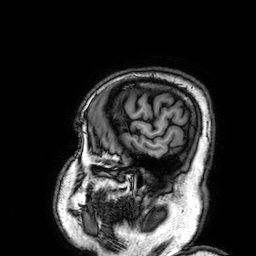
3 Tesla brain MRI. Study: ring-enhancing brain masses.